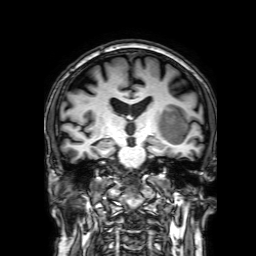
– modality — 3 Tesla brain MRI
– study — ring-enhancing brain masses